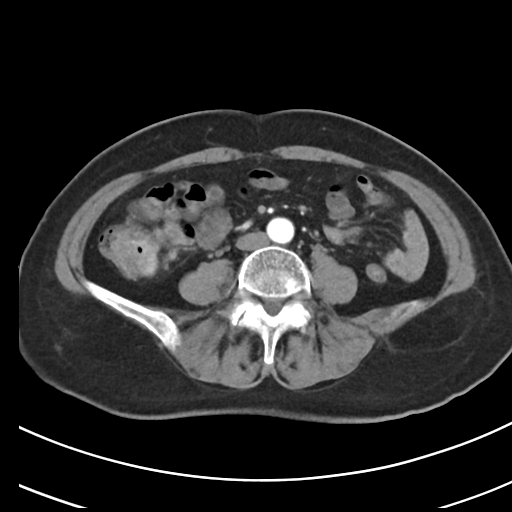
modality — multiphase abdominal CT, liver, arterial phase
patient — female, age 69
history — viral hepatitis